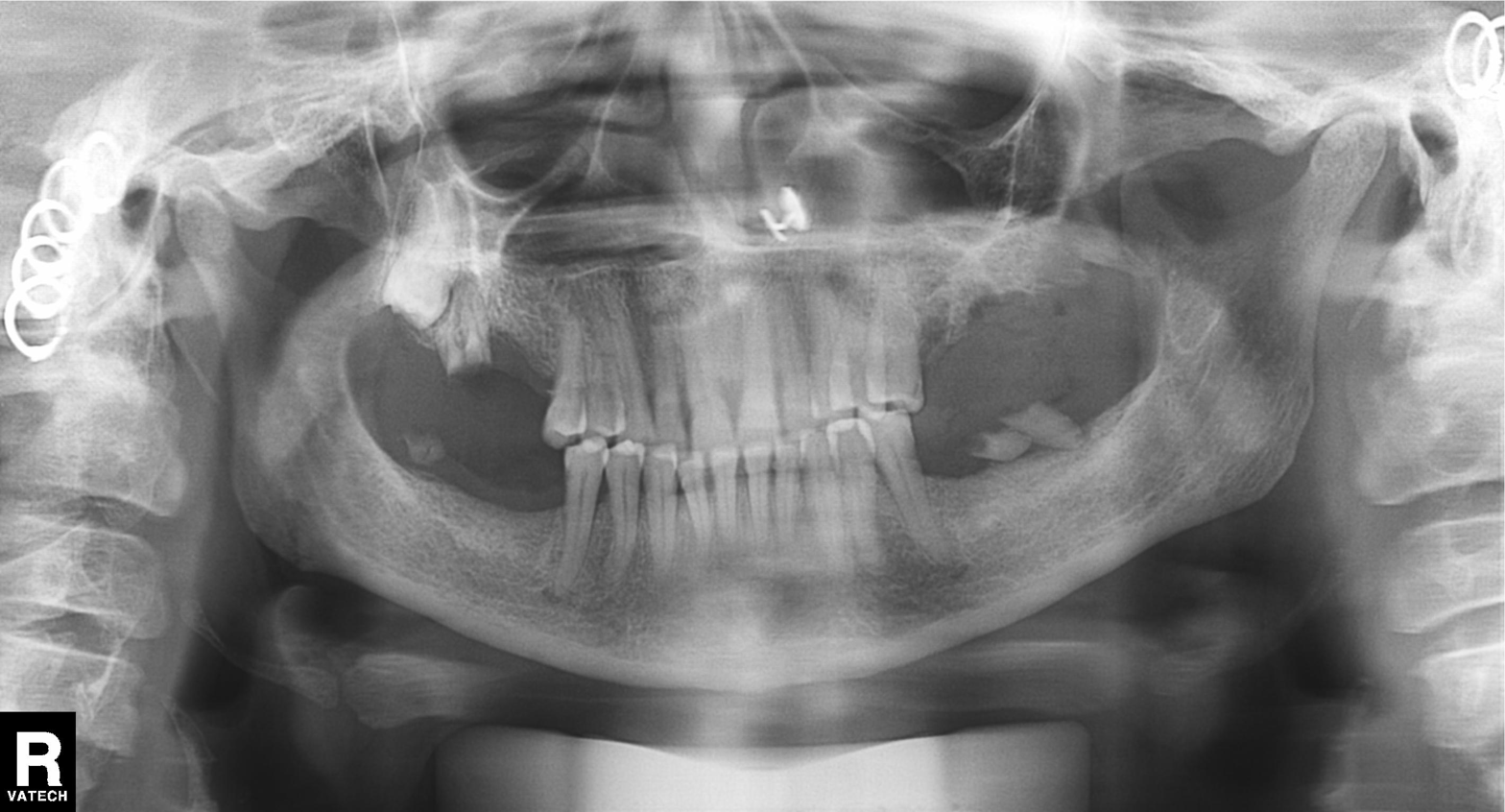
Panoramic dental radiograph (orthopantomogram). Finding: alveolar bone loss.